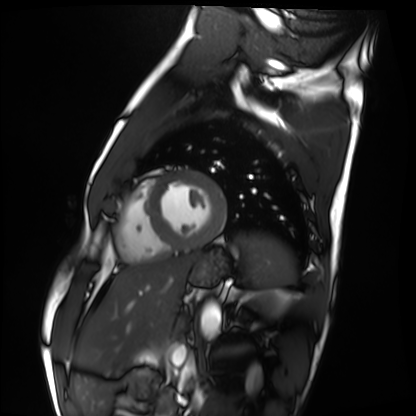
Clinical context:
Cardiac MRI. Subject group: healthy volunteer.